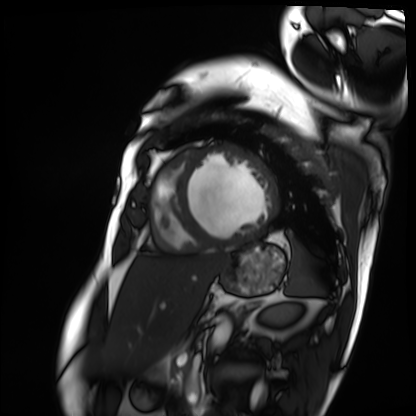
Case summary:
Cardiac MRI. Subject group: patient.